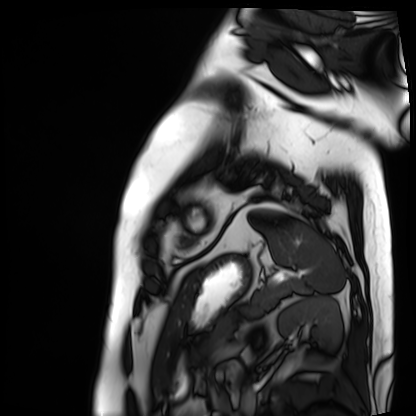
{"modality": "cardiac MRI", "cohort": "patient"}